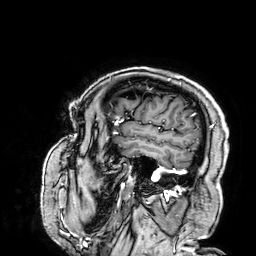
3 Tesla brain MRI. Series: 3D T1-weighted. Study: ring-enhancing brain masses.